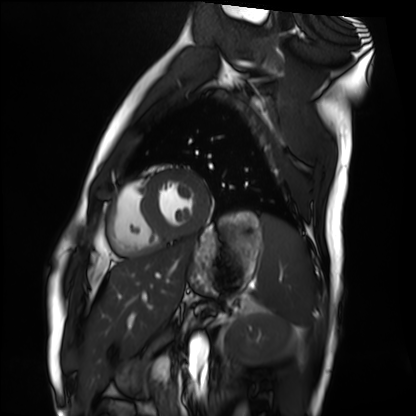
Clinical context:
Cardiac MRI. Subject group: healthy volunteer.